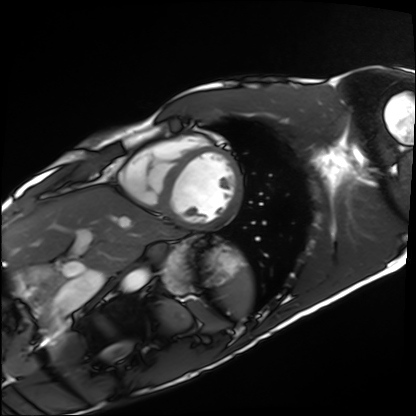
Cardiac MRI.
Subject group: healthy volunteer.